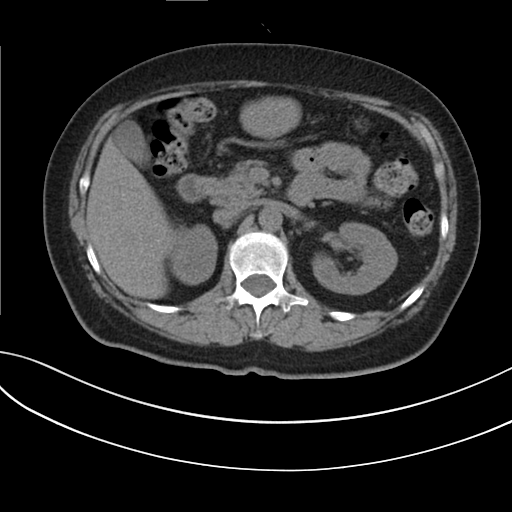
Multiphase abdominal CT, liver, non-contrast phase. Patient: female, age 59.